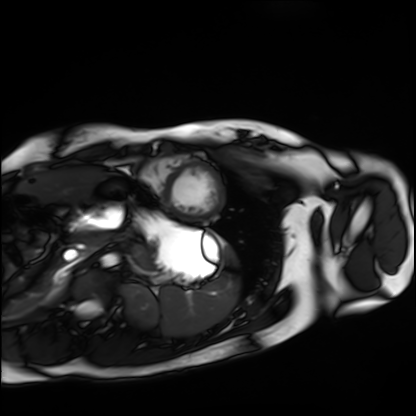
modality: cardiac MRI | subject group: healthy volunteer.